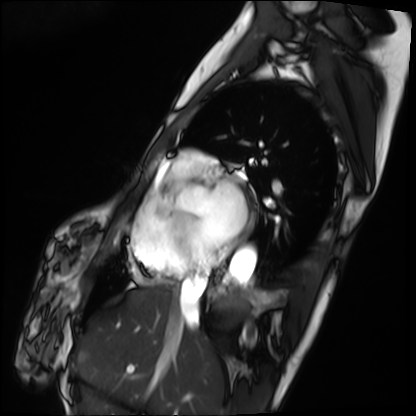
Cardiac MRI. Subject group: patient.